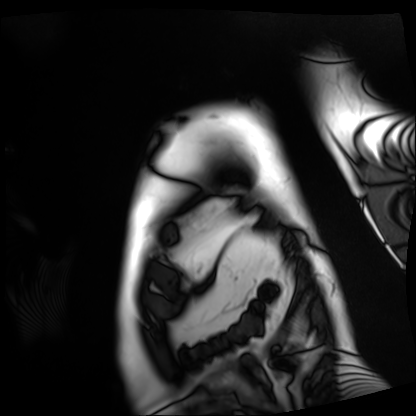
Cardiac MRI. Subject group: patient.